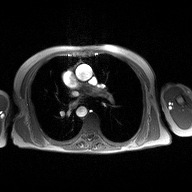
Summary: 2D phase-contrast cine MRI of the ascending aorta, high-resolution GRAPPA acquisition.